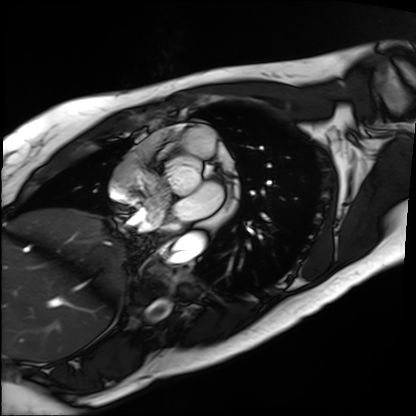
Clinical context: Cardiac MRI. Subject group: patient.